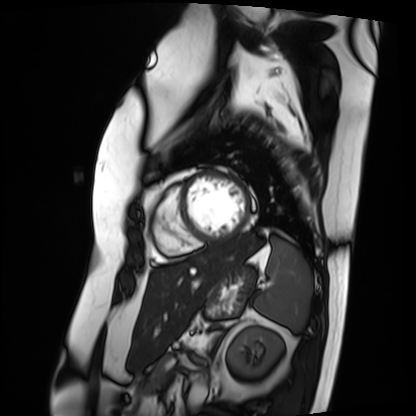
Cardiac MRI.
Subject group: patient.